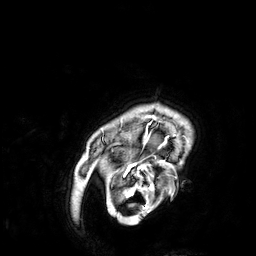
modality = 3 Tesla brain MRI
series = 3D T1-weighted
study = ring-enhancing brain masses